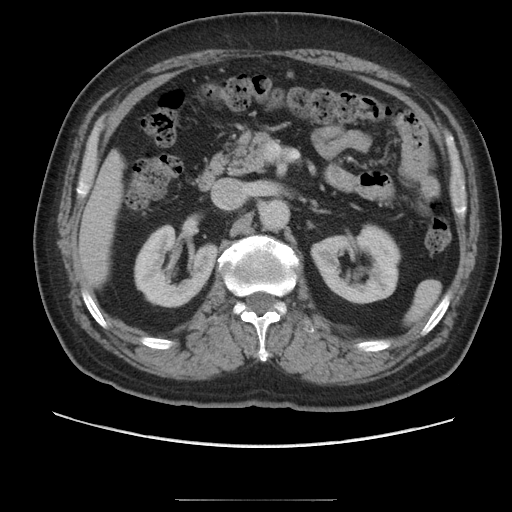
<case>
  <modality>
    <type>multiphase abdominal CT</type>
    <region>liver</region>
    <phase>portal venous</phase>
  </modality>
  <patient>
    <sex>male</sex>
    <age>68</age>
  </patient>
  <history>cirrhosis, viral hepatitis, prior chemotherapy</history>
</case>